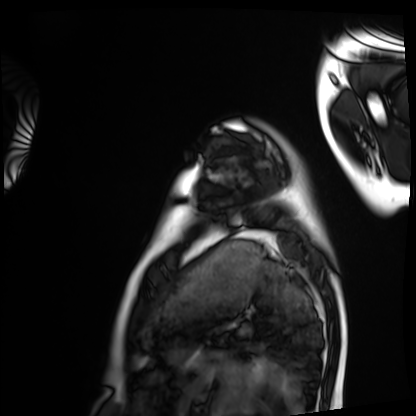
Q: What kind of scan is this?
A: Cardiac MRI.
Subject group: healthy volunteer.